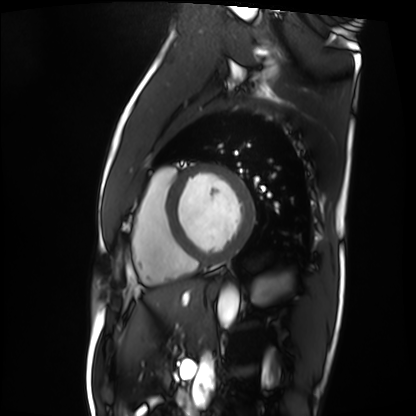
Case summary: Cardiac MRI. Subject group: patient.